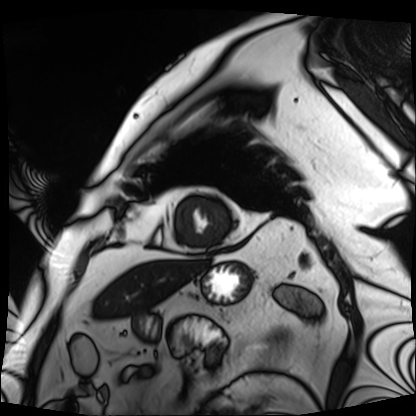
Cardiac MRI.
Subject group: patient.